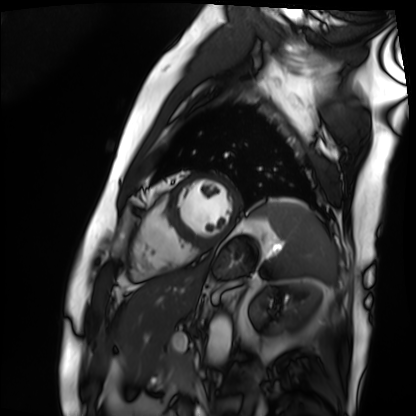
Cardiac MRI. Subject group: patient.